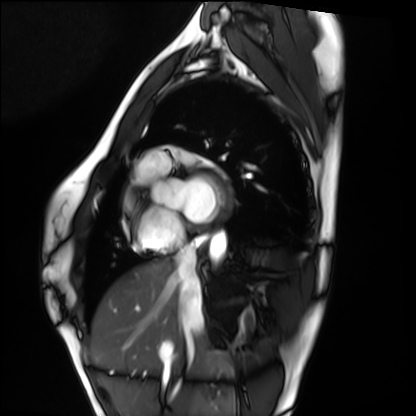
  modality: cardiac MRI
  cohort: healthy volunteer